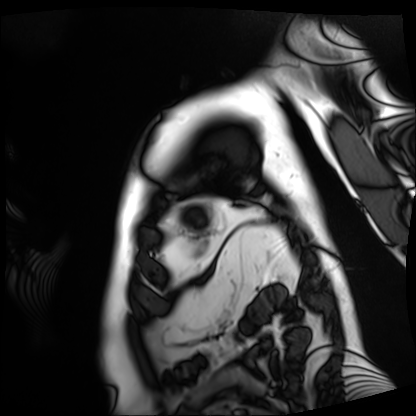
Case summary:
Cardiac MRI. Subject group: patient.